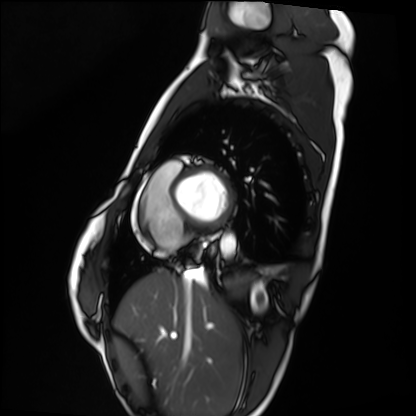
Cardiac MRI.
Subject group: healthy volunteer.